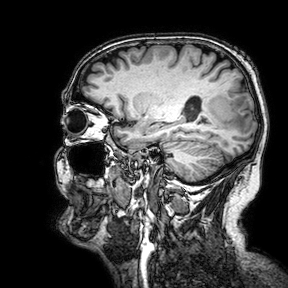
* modality: 3 Tesla brain MRI
* study: ring-enhancing brain masses